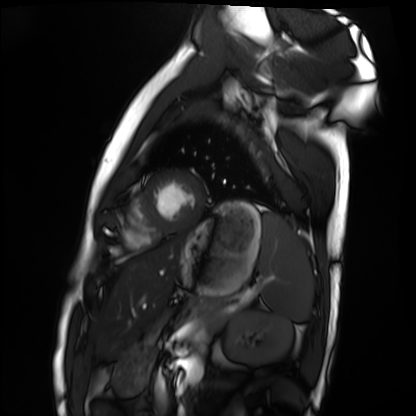
Q: What kind of scan is this?
A: Cardiac MRI.
Subject group: healthy volunteer.